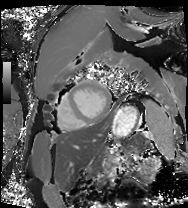
modality — cardiac MRI
subject group — patient